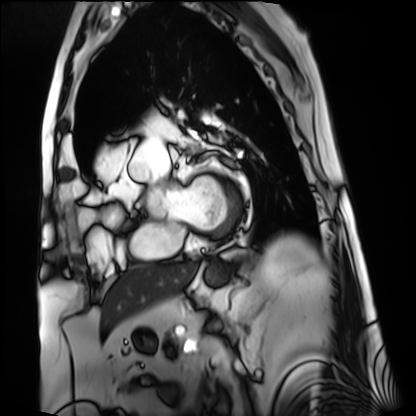
Cardiac MRI. Subject group: patient.